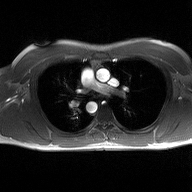
Q: What kind of scan is this?
A: 2D phase-contrast cine MRI of the ascending aorta.